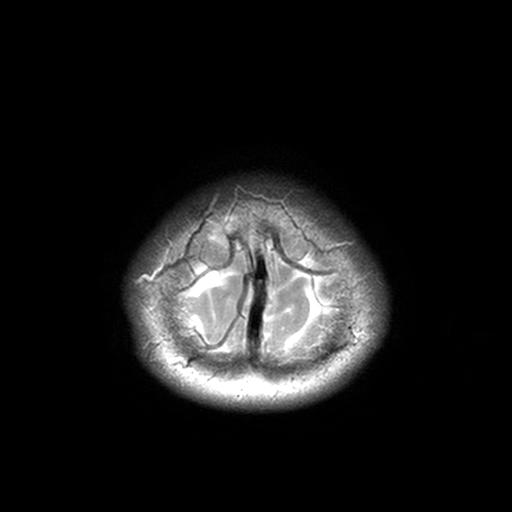
modality — 3 Tesla brain MRI
series — T2-weighted turbo spin echo, 3 mm
study — ring-enhancing brain masses